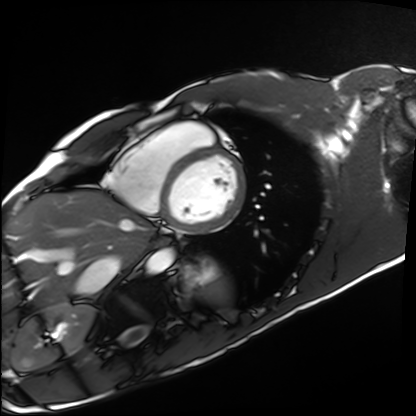
Summary:
Cardiac MRI. Subject group: healthy volunteer.